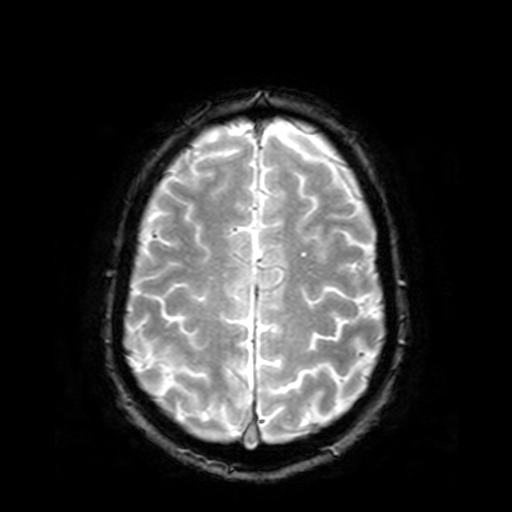
3 Tesla brain MRI. Series: T2-weighted fast field echo. Study: ring-enhancing brain masses.